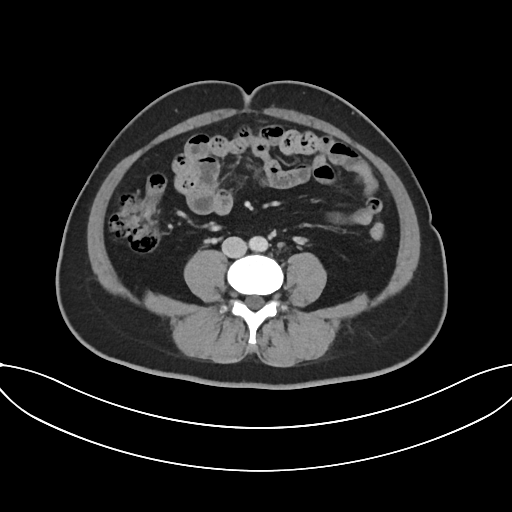
Multiphase abdominal CT, liver, portal venous phase. Patient: female, age 43.